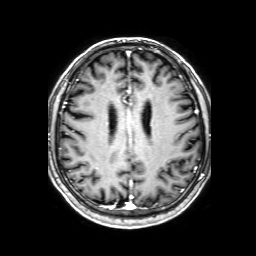
Clinical context: 3 Tesla brain MRI. Series: 3D T1-weighted with SENSE. Study: ring-enhancing brain masses.